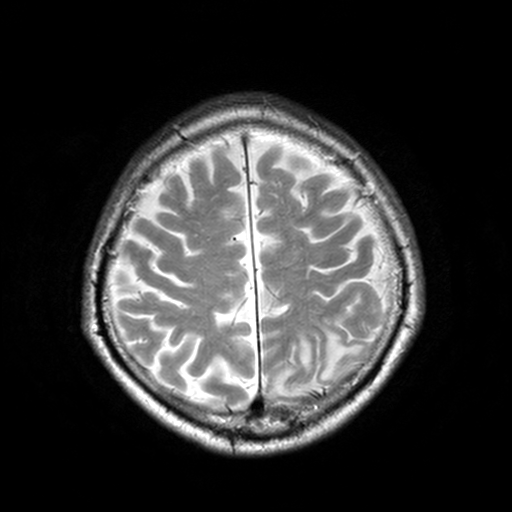
Summary:
3 Tesla brain MRI. Study: ring-enhancing brain masses.